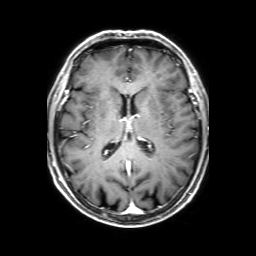
3 Tesla brain MRI.
Series: 3D T1-weighted with SENSE.
Study: ring-enhancing brain masses.